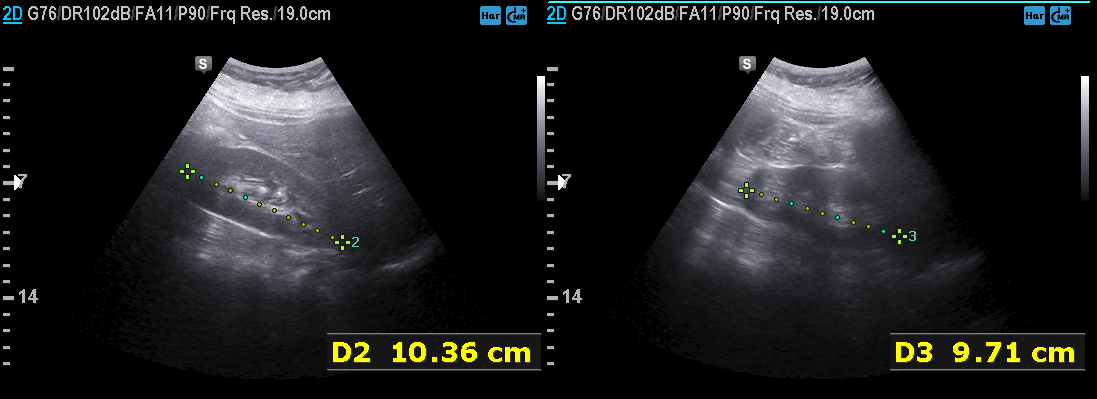
Genitourinary ultrasound.